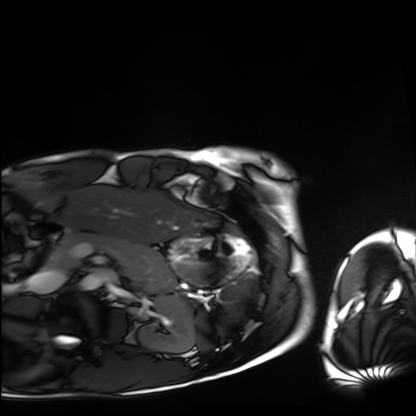
modality — cardiac MRI
subject group — healthy volunteer